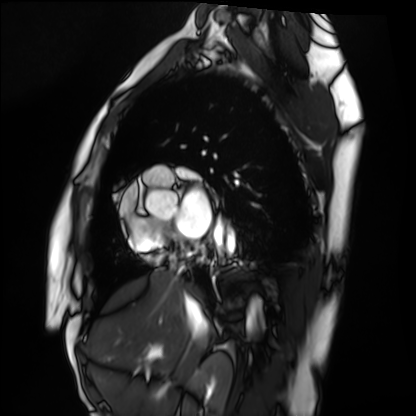
modality: cardiac MRI | subject group: healthy volunteer.